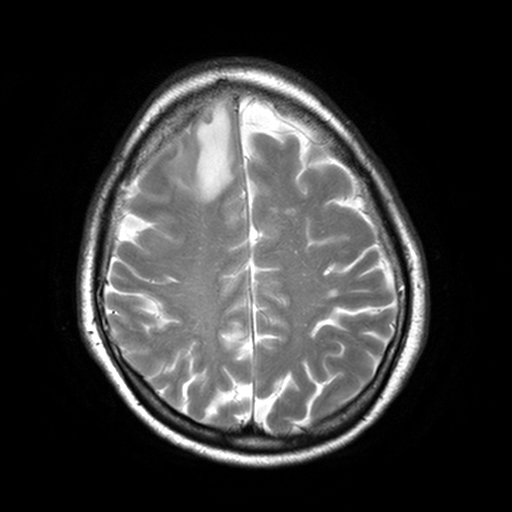
3 Tesla brain MRI. Study: ring-enhancing brain masses.